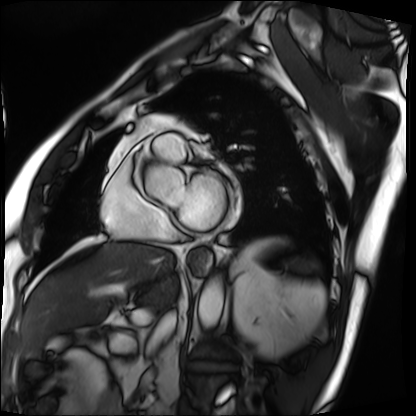
Cardiac MRI. Subject group: patient.